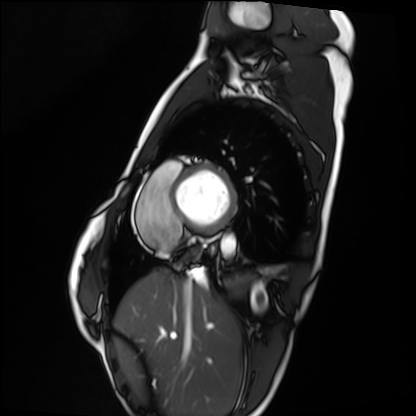
{
  "modality": "cardiac MRI",
  "cohort": "healthy volunteer"
}